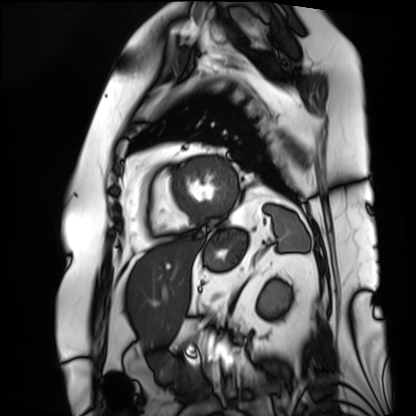
| field | value |
|---|---|
| modality | cardiac MRI |
| subject group | patient |